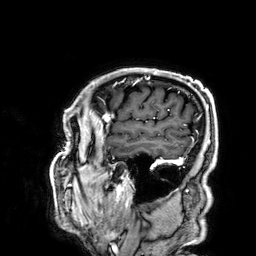
modality: 3 Tesla brain MRI | series: 3D T1-weighted | study: ring-enhancing brain masses.